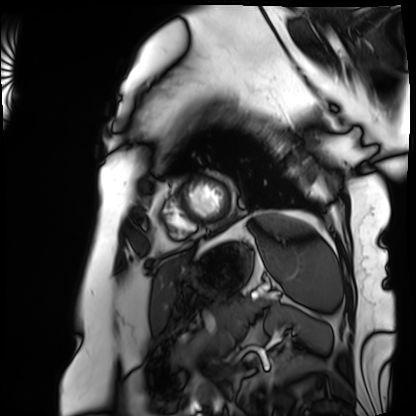
Summary:
Cardiac MRI. Subject group: patient.